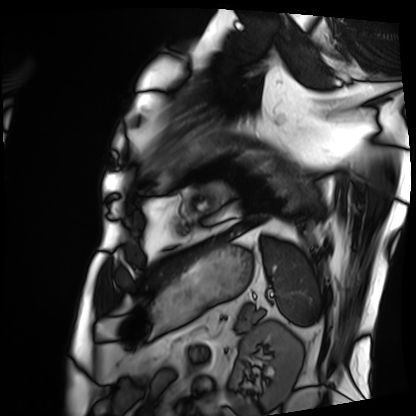
Cardiac MRI. Subject group: patient.